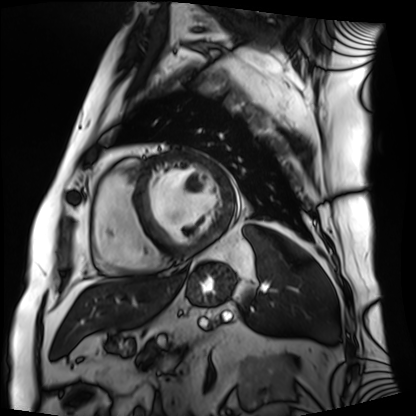
modality: cardiac MRI; subject group: patient.